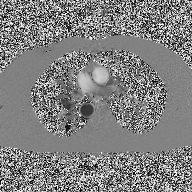
modality:
  type: 2D phase-contrast cine MRI
  region: ascending aorta
  reconstruction: high-resolution GRAPPA acquisition